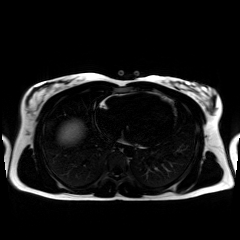
Chemical-shift-encoded cardiac MRI.